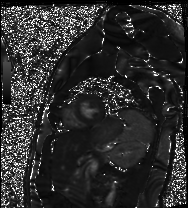
Clinical context:
Cardiac MR image of the myocardium. Subject cohort: healthy volunteer.